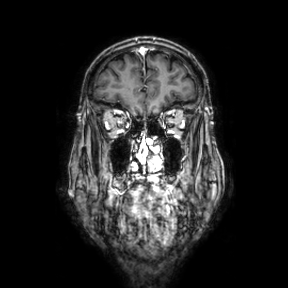
Q: What kind of scan is this?
A: 3 Tesla brain MRI.
Q: Series?
A: Coronal.
Study: ring-enhancing brain masses.